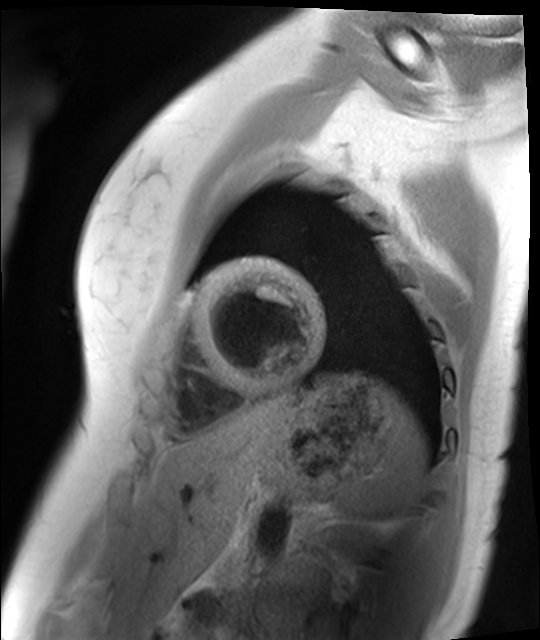
modality: cardiac MR image of the myocardium, subject cohort: healthy volunteer.